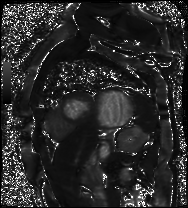
Cardiac MR image of the myocardium. Subject cohort: cardiac patient.